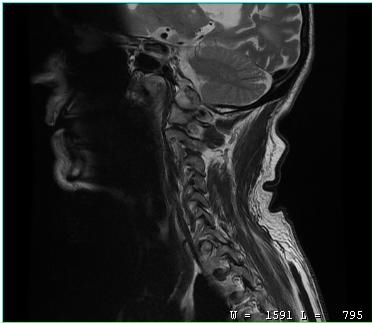
Case summary: MRI of the cervical spine. Study: cervical spondylosis.